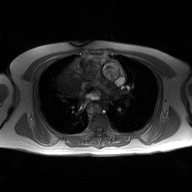
Summary:
2D phase-contrast cine MRI of the ascending aorta, high-resolution GRAPPA acquisition.